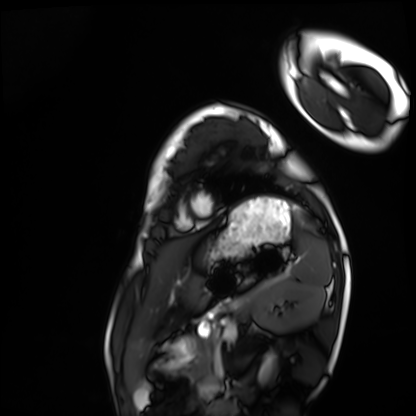
* modality — cardiac MRI
* subject group — healthy volunteer